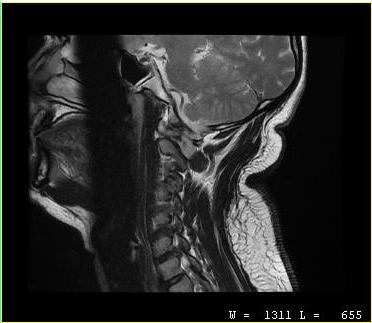
Summary: MRI of the cervical spine. Study: cervical spondylosis.